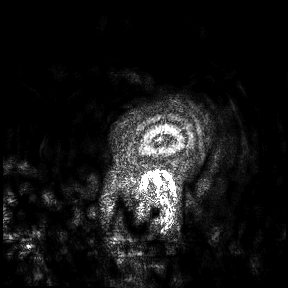
modality — 3 Tesla brain MRI; study — ring-enhancing brain masses.